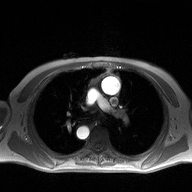
Q: What kind of scan is this?
A: 2D phase-contrast cine MRI of the ascending aorta.